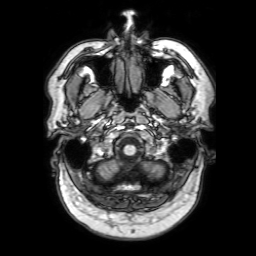
3 Tesla brain MRI.
Series: 3D T1-weighted with SENSE.
Study: ring-enhancing brain masses.